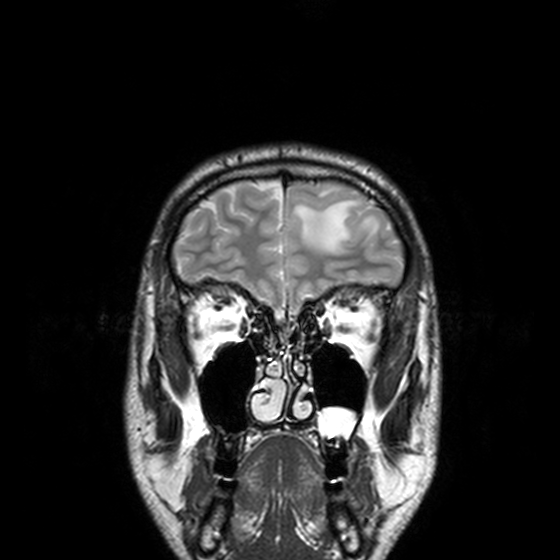
| field | value |
|---|---|
| modality | 3 Tesla brain MRI |
| series | T2-weighted turbo spin echo, 3 mm |
| study | ring-enhancing brain masses |